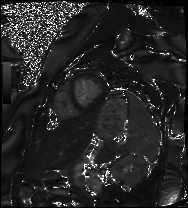
• modality · cardiac MRI
• subject group · patient